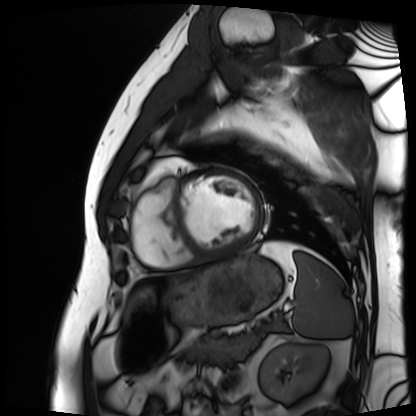
Case summary:
Cardiac MRI. Subject group: patient.